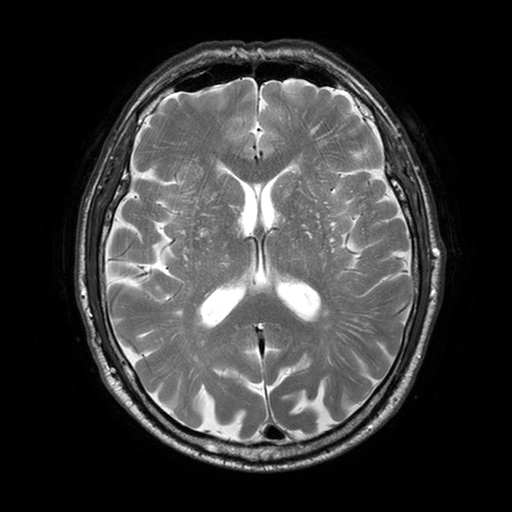
Q: What kind of scan is this?
A: 3 Tesla brain MRI.
Study: ring-enhancing brain masses.